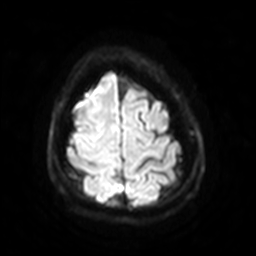
modality = 3 Tesla brain MRI; series = diffusion-weighted imaging with SENSE (WIP); study = ring-enhancing brain masses.